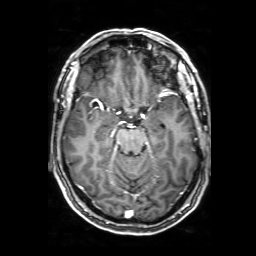
3 Tesla brain MRI.
Series: 3D T1-weighted with SENSE.
Study: ring-enhancing brain masses.